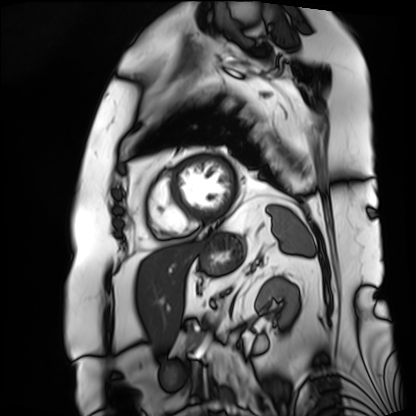
modality: cardiac MRI | subject group: patient.